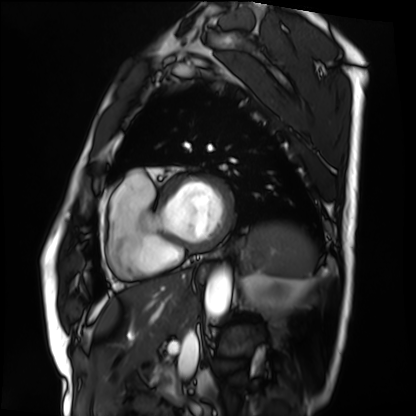
Cardiac MRI. Subject group: patient.